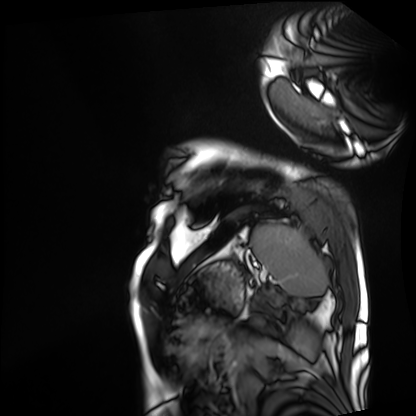
Summary:
Cardiac MRI. Subject group: patient.